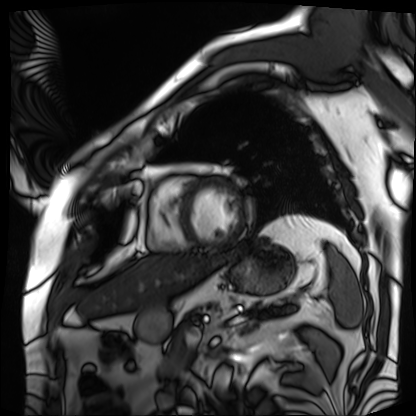
Case:
• modality: cardiac MRI
• subject group: patient